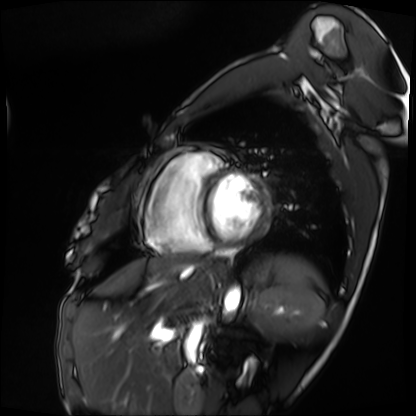
Summary: Cardiac MRI. Subject group: patient.